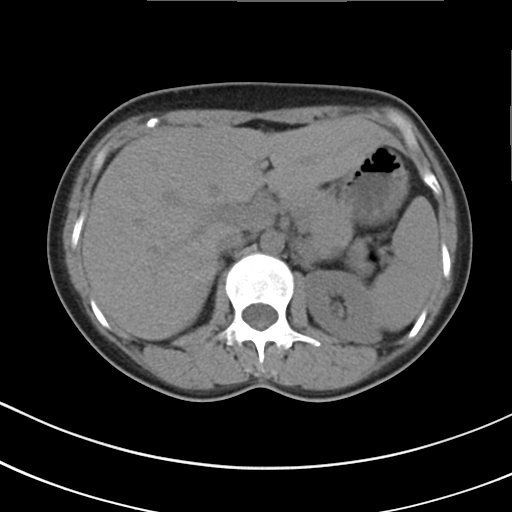
Summary:
Multiphase abdominal CT, liver, non-contrast phase. Patient: female, age 41.